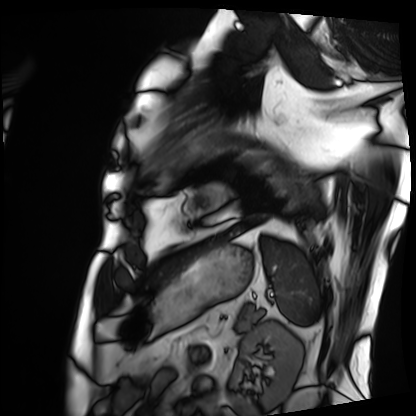
modality — cardiac MRI
subject group — patient